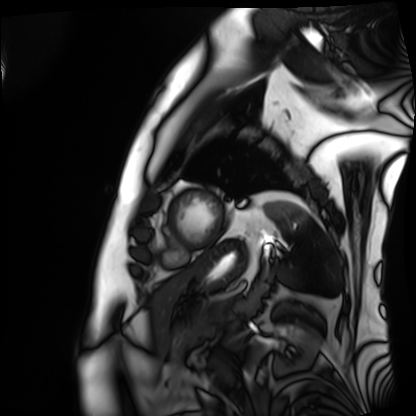
Cardiac MRI. Subject group: patient.